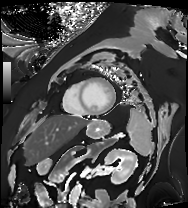
Summary:
Cardiac MRI. Subject group: patient.